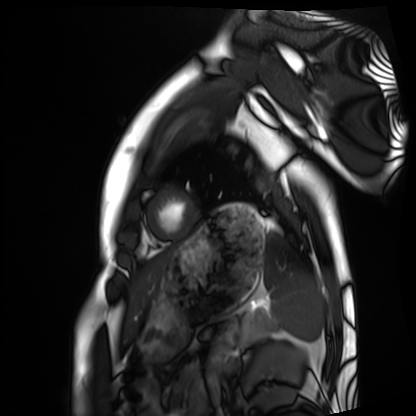
Q: What kind of scan is this?
A: Cardiac MRI.
Subject group: healthy volunteer.